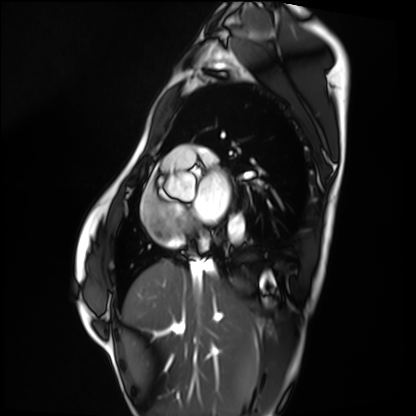
Q: What kind of scan is this?
A: Cardiac MRI.
Subject group: healthy volunteer.